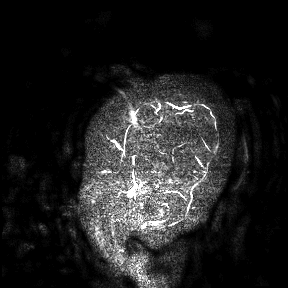
| field | value |
|---|---|
| modality | 3 Tesla brain MRI |
| study | ring-enhancing brain masses |